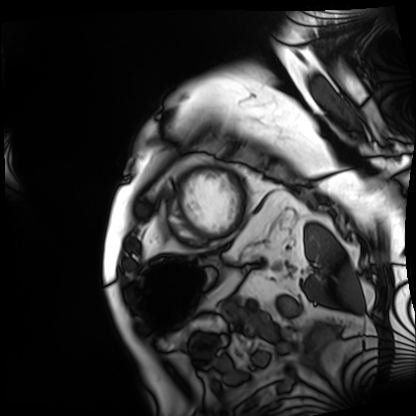
Cardiac MRI. Subject group: patient.